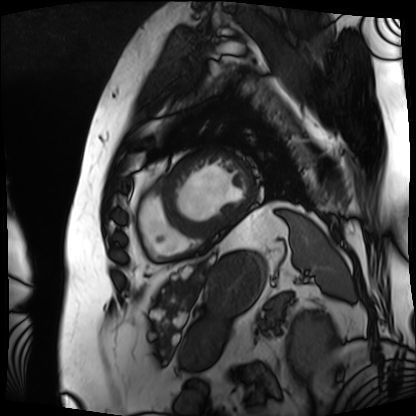
modality = cardiac MRI, subject group = patient.